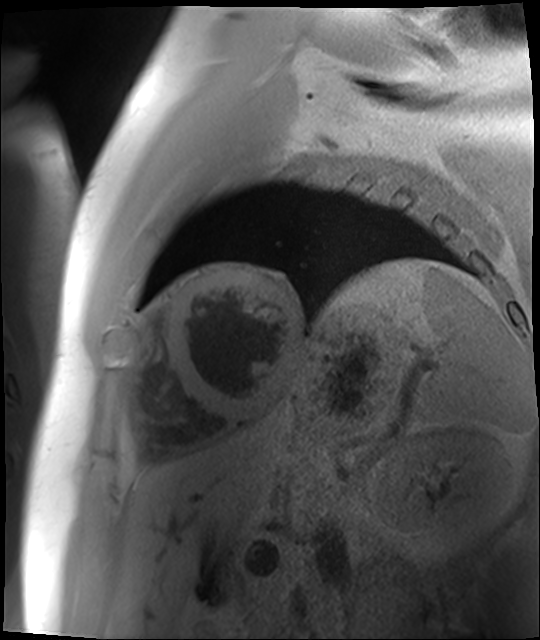
Clinical context:
Cardiac MR image of the myocardium. Subject cohort: cardiac patient.